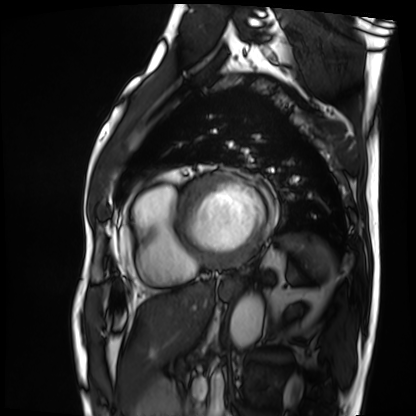
{
  "modality": "cardiac MRI",
  "cohort": "patient"
}